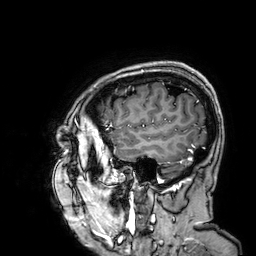
Summary:
3 Tesla brain MRI. Study: ring-enhancing brain masses.